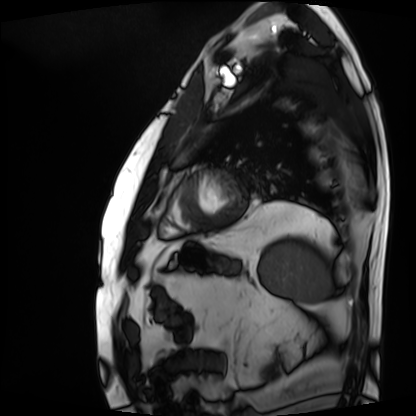
| field | value |
|---|---|
| modality | cardiac MRI |
| subject group | patient |